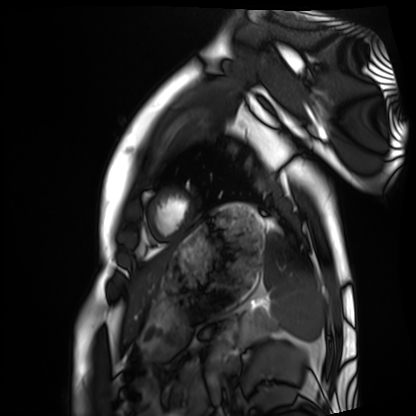
{"modality": "cardiac MRI", "cohort": "healthy volunteer"}